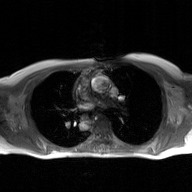
modality:
  type: 2D phase-contrast cine MRI
  region: ascending aorta
  reconstruction: GAN super-resolution reconstruction